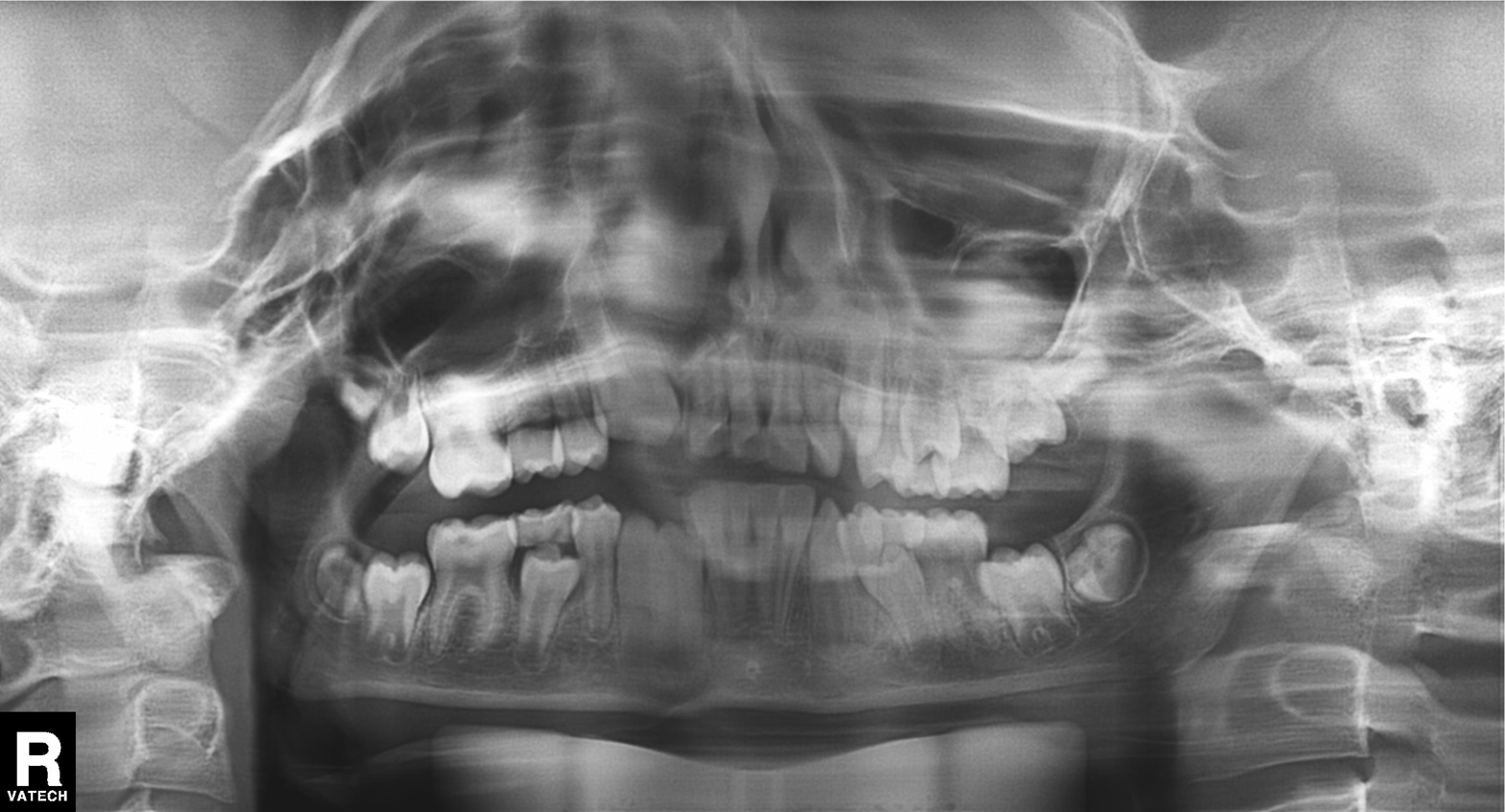
Panoramic dental radiograph (orthopantomogram). Finding: tooth impaction.